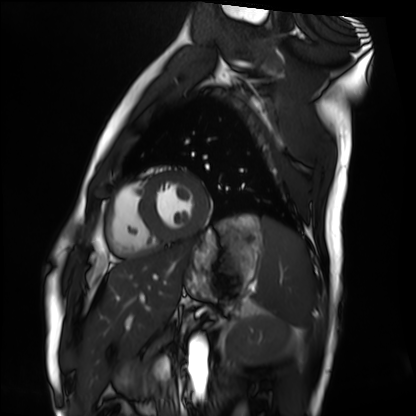
Summary:
Cardiac MRI. Subject group: healthy volunteer.